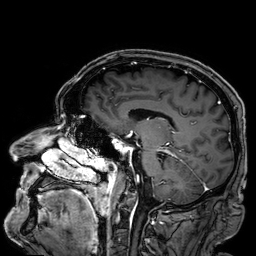
3 Tesla brain MRI. Series: 3D T1-weighted. Study: ring-enhancing brain masses.